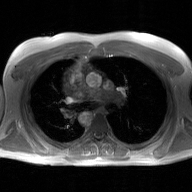
modality:
  type: 2D phase-contrast cine MRI
  region: ascending aorta
  reconstruction: GAN super-resolution reconstruction